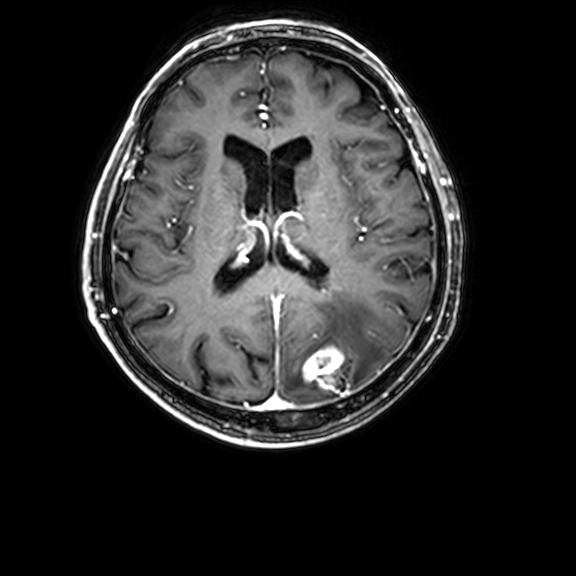
3 Tesla brain MRI.
Series: 3D T1-weighted with CLEAR.
Study: ring-enhancing brain masses.